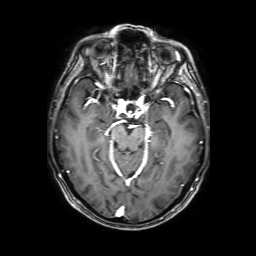
3 Tesla brain MRI. Series: 3D T1-weighted with SENSE. Study: ring-enhancing brain masses.